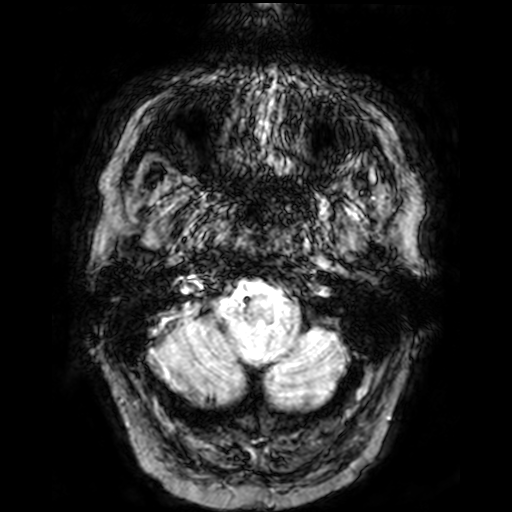
Q: What kind of scan is this?
A: 3 Tesla brain MRI.
Q: Series?
A: T2-weighted fast field echo.
Study: ring-enhancing brain masses.